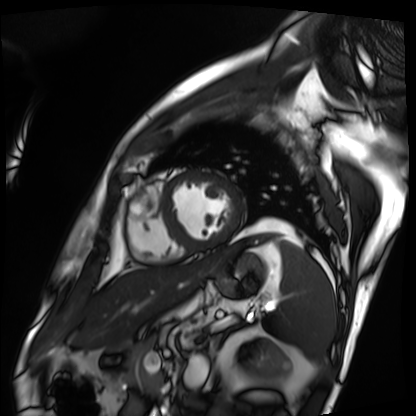
Case summary: Cardiac MRI. Subject group: patient.